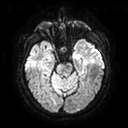
3 Tesla brain MRI. Series: diffusion tensor imaging (medium iso). Study: ring-enhancing brain masses.